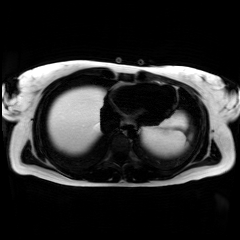
Summary: Chemical-shift-encoded cardiac MRI.